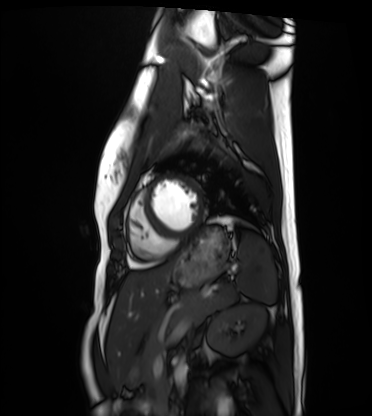
– modality — cardiac MRI
– subject group — healthy volunteer